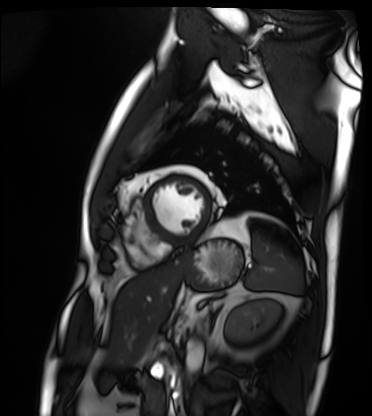
modality = cardiac MRI
subject group = patient